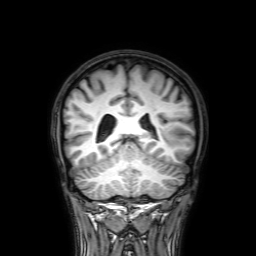
Case summary: 3 Tesla brain MRI. Series: 3D T1-weighted with SENSE. Study: ring-enhancing brain masses.